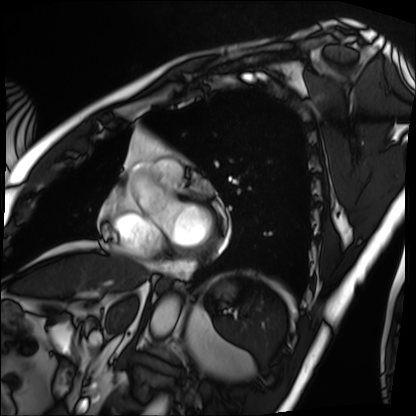
Case summary: Cardiac MRI. Subject group: patient.